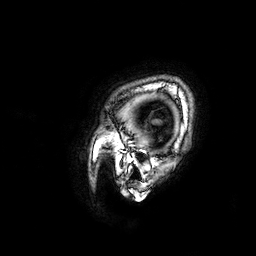
modality: 3 Tesla brain MRI; series: 3D T1-weighted; study: ring-enhancing brain masses.